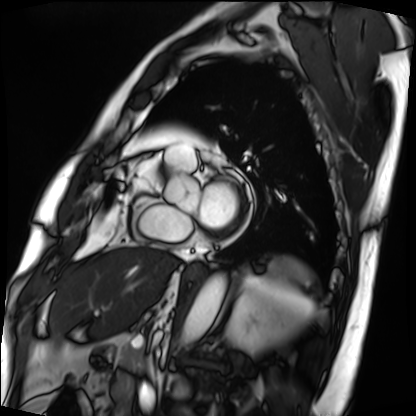
Clinical context: Cardiac MRI. Subject group: patient.